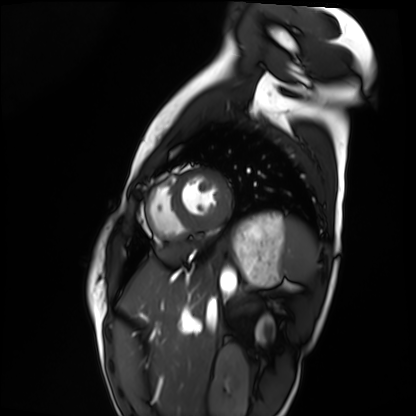
modality: cardiac MRI | subject group: healthy volunteer.